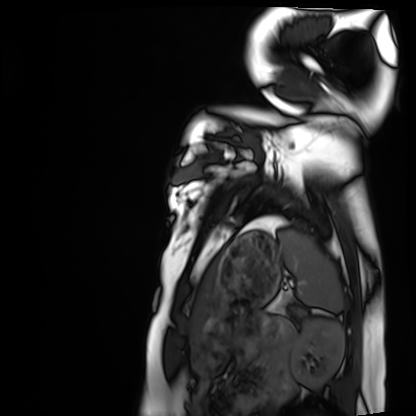
Cardiac MRI. Subject group: healthy volunteer.